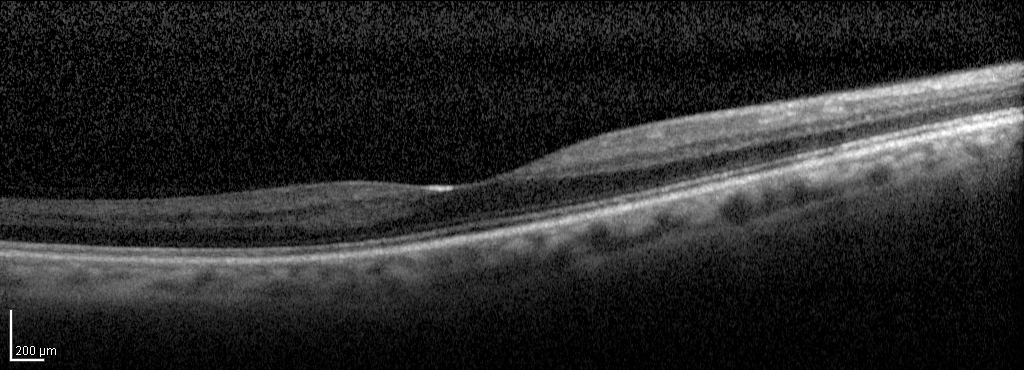
{
  "modality": "spectral-domain optical coherence tomography (SD-OCT) of the macula",
  "subject": {
    "sex": "female",
    "age": 61,
    "eye": "right eye"
  },
  "cohort": "diabetic subject",
  "etdrs_thickness_um": {
    "central": 263,
    "inner_temporal": 292,
    "inner_nasal": 307,
    "inner_superior": 299,
    "inner_inferior": 302,
    "outer_temporal": 239,
    "outer_nasal": 250,
    "outer_superior": 260,
    "outer_inferior": 251
  }
}